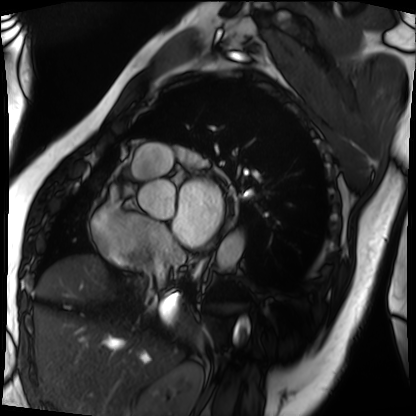
Clinical context:
Cardiac MRI. Subject group: patient.